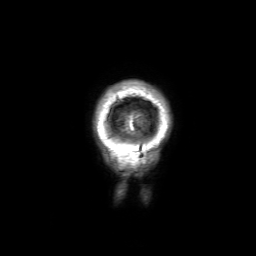
• modality · 3 Tesla brain MRI
• series · 3D T1-weighted with SENSE
• study · ring-enhancing brain masses